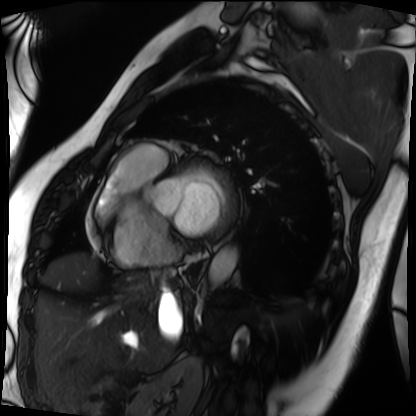
Cardiac MRI. Subject group: patient.